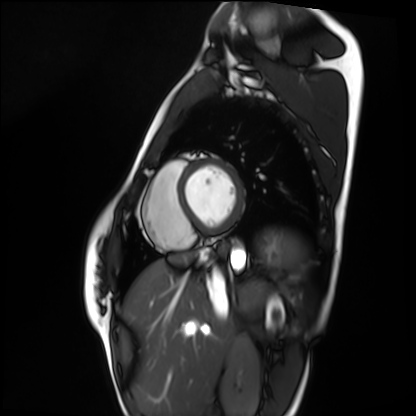
- modality — cardiac MRI
- subject group — healthy volunteer